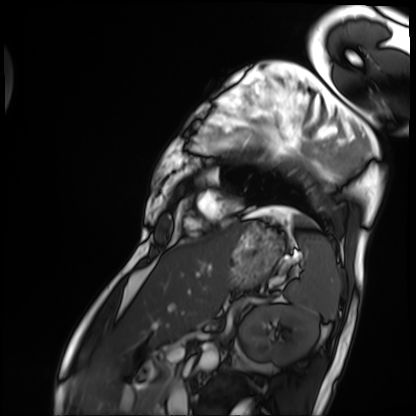
  modality: cardiac MRI
  cohort: patient